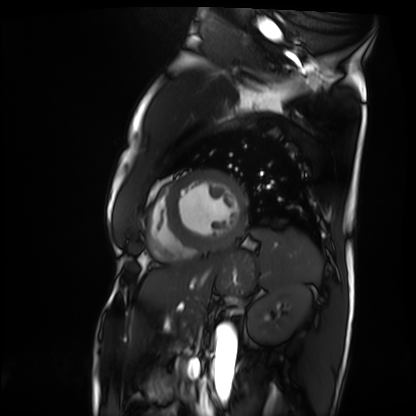
modality=cardiac MRI
subject group=patient